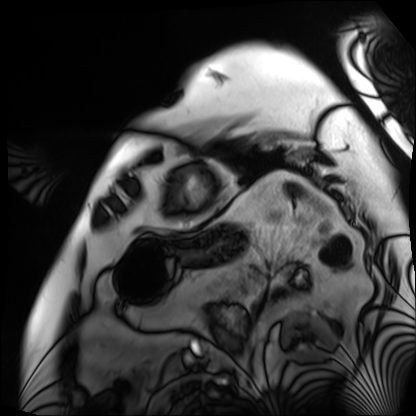
modality: cardiac MRI
cohort: patient